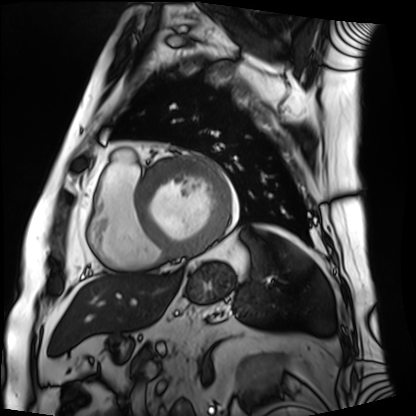
Cardiac MRI. Subject group: patient.